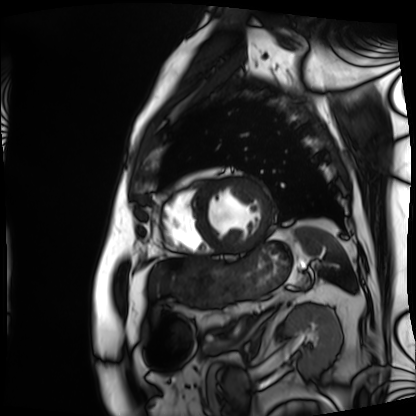
{
  "modality": "cardiac MRI",
  "cohort": "patient"
}